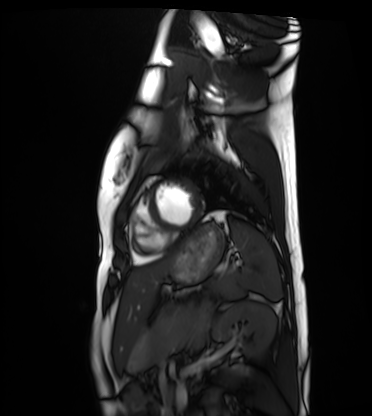
Summary:
Cardiac MRI. Subject group: healthy volunteer.